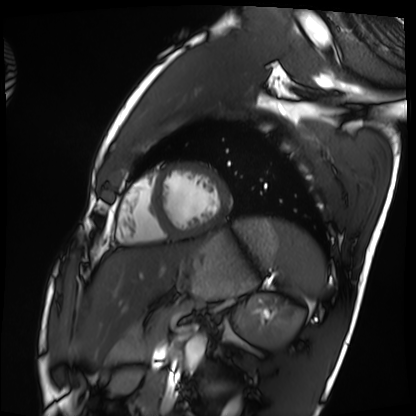
Case summary: Cardiac MRI. Subject group: healthy volunteer.